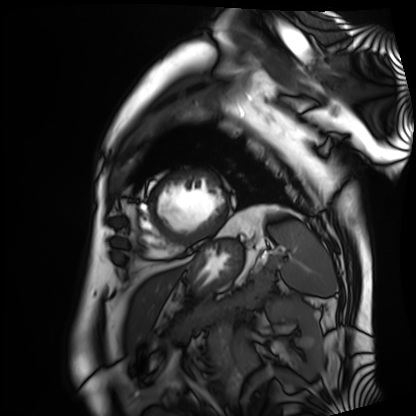
{"modality": "cardiac MRI", "cohort": "patient"}